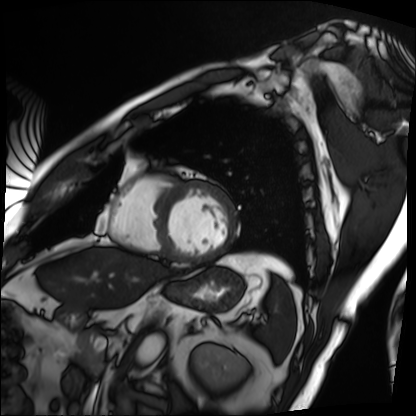
| field | value |
|---|---|
| modality | cardiac MRI |
| subject group | patient |